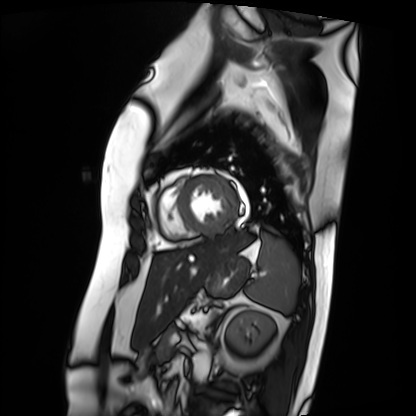
Cardiac MRI. Subject group: patient.